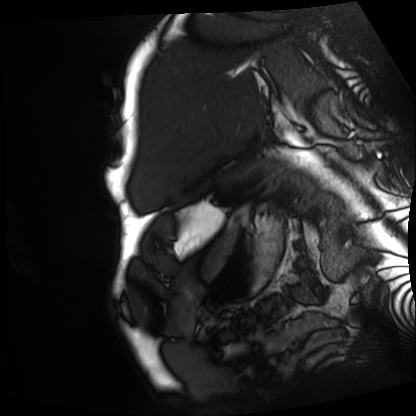
Cardiac MRI.
Subject group: patient.